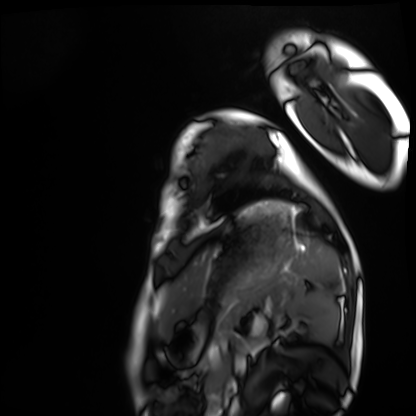
modality = cardiac MRI
subject group = healthy volunteer